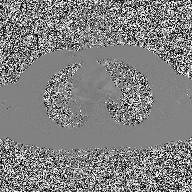
– modality · 2D phase-contrast cine MRI of the ascending aorta